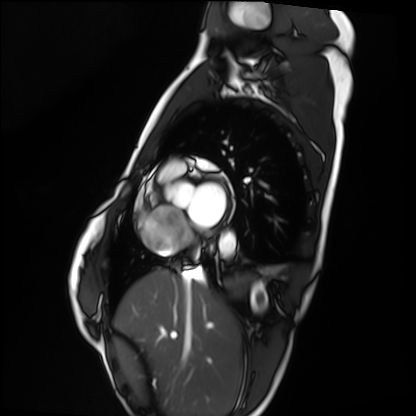
Cardiac MRI.
Subject group: healthy volunteer.